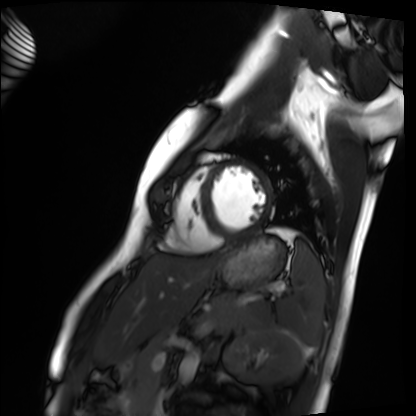
Clinical context: Cardiac MRI. Subject group: healthy volunteer.